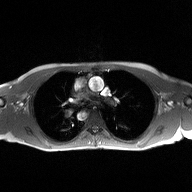
modality: 2D phase-contrast cine MRI of the ascending aorta.